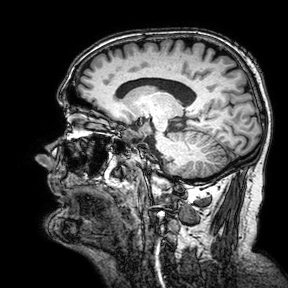
Summary:
3 Tesla brain MRI. Study: ring-enhancing brain masses.